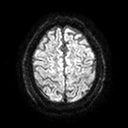
| field | value |
|---|---|
| modality | 3 Tesla brain MRI |
| series | diffusion tensor imaging (medium iso) |
| study | ring-enhancing brain masses |